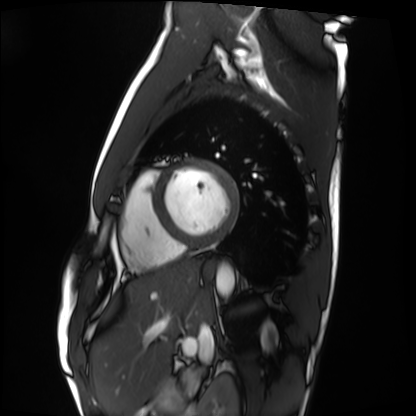
Q: What kind of scan is this?
A: Cardiac MRI.
Subject group: healthy volunteer.